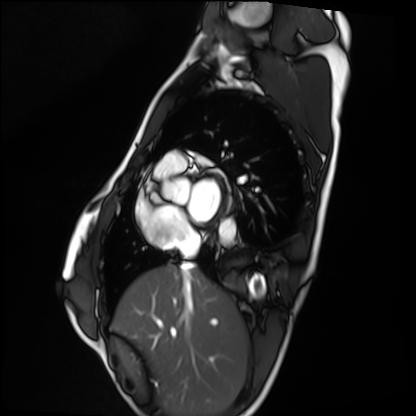
Summary: Cardiac MRI. Subject group: healthy volunteer.